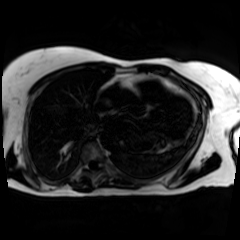
Clinical context: Chemical-shift-encoded cardiac MRI.